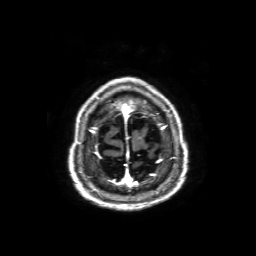
• modality — 3 Tesla brain MRI
• series — axial T1-weighted fusion image
• study — ring-enhancing brain masses